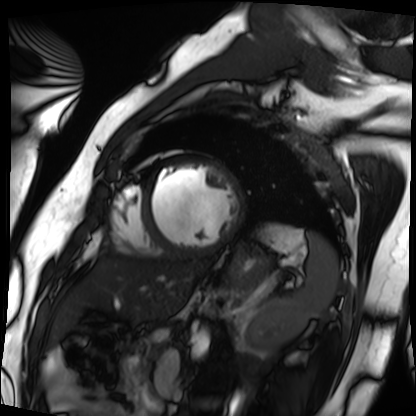
<study>
<modality>cardiac MRI</modality>
<cohort>patient</cohort>
</study>